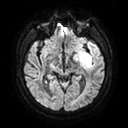
3 Tesla brain MRI.
Series: diffusion tensor imaging (medium iso).
Study: ring-enhancing brain masses.